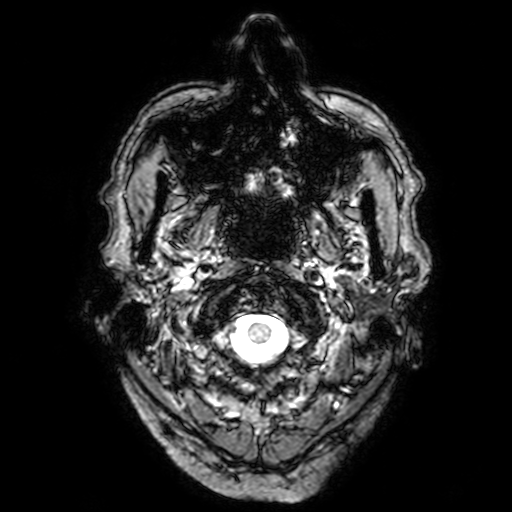
Summary: 3 Tesla brain MRI. Study: ring-enhancing brain masses.